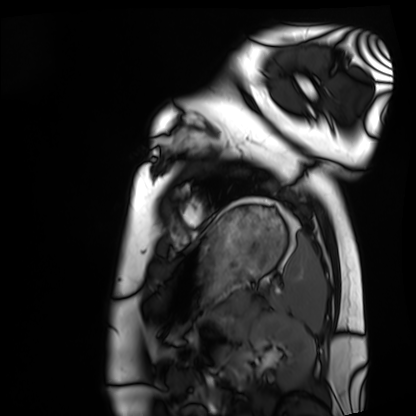
Cardiac MRI.
Subject group: healthy volunteer.